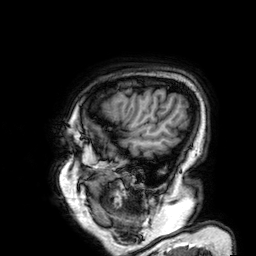
Case:
– modality — 3 Tesla brain MRI
– series — 3D T1-weighted
– study — ring-enhancing brain masses